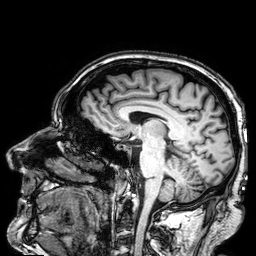
Summary:
3 Tesla brain MRI. Series: 3D T1-weighted. Study: ring-enhancing brain masses.